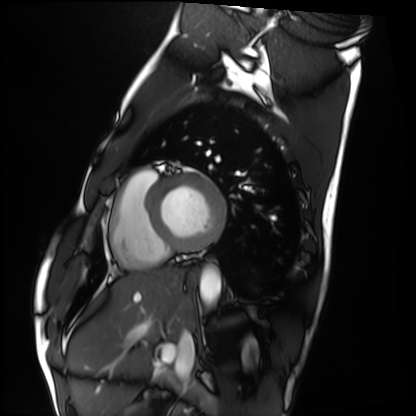
Cardiac MRI.
Subject group: healthy volunteer.